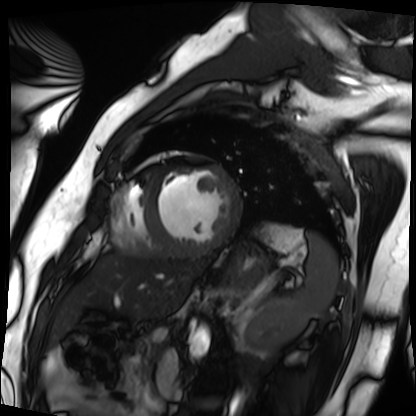
- modality · cardiac MRI
- subject group · patient